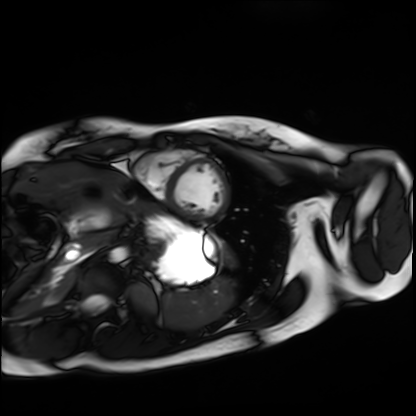
modality: cardiac MRI
cohort: healthy volunteer